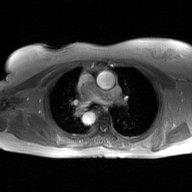
2D phase-contrast cine MRI of the ascending aorta, GAN super-resolution reconstruction.